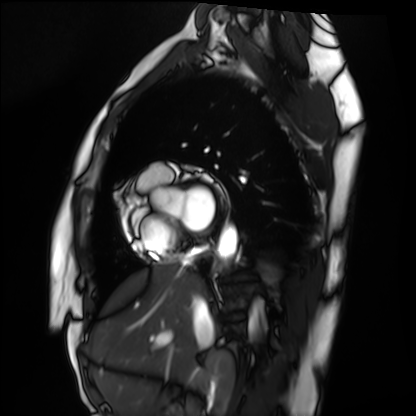
Q: What kind of scan is this?
A: Cardiac MRI.
Subject group: healthy volunteer.